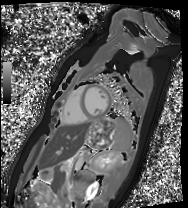
Summary: Cardiac MRI. Subject group: healthy volunteer.